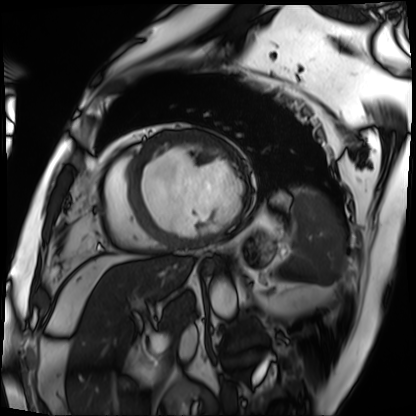
Cardiac MRI. Subject group: patient.